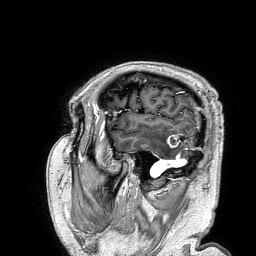
3 Tesla brain MRI. Series: 3D T1-weighted turbo field echo. Study: ring-enhancing brain masses.